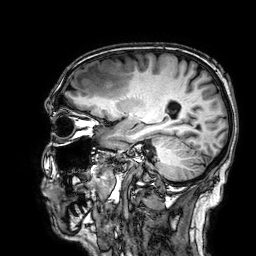
3 Tesla brain MRI. Series: 3D T1-weighted. Study: ring-enhancing brain masses.